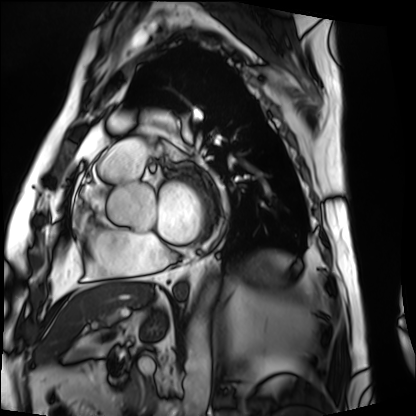
Q: What kind of scan is this?
A: Cardiac MRI.
Subject group: patient.